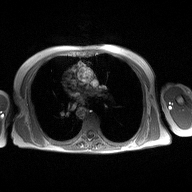
modality=2D phase-contrast cine MRI of the ascending aorta